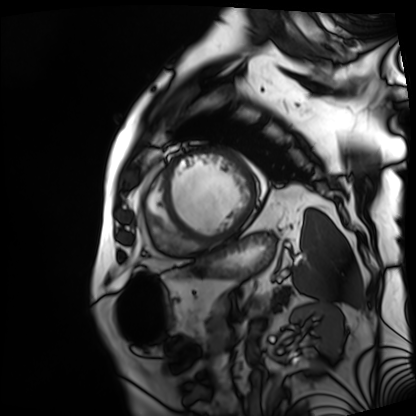
Cardiac MRI.
Subject group: patient.